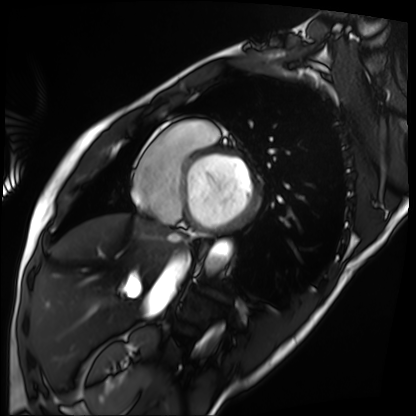
Q: What kind of scan is this?
A: Cardiac MRI.
Subject group: patient.